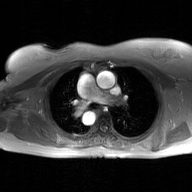
modality: 2D phase-contrast cine MRI of the ascending aorta, GAN super-resolution reconstruction